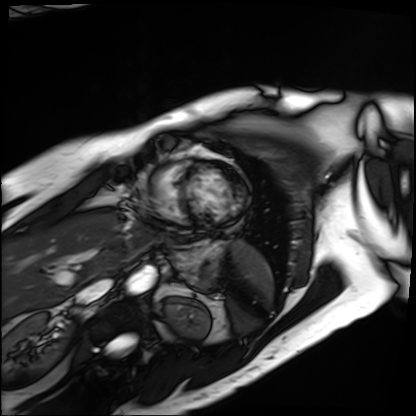
Summary: Cardiac MRI. Subject group: patient.